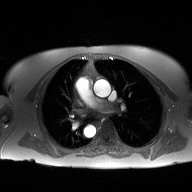
Summary: 2D phase-contrast cine MRI of the ascending aorta, high-resolution GRAPPA acquisition.